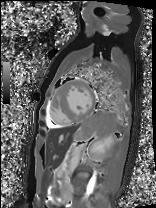
{"modality": "cardiac MRI", "cohort": "patient"}